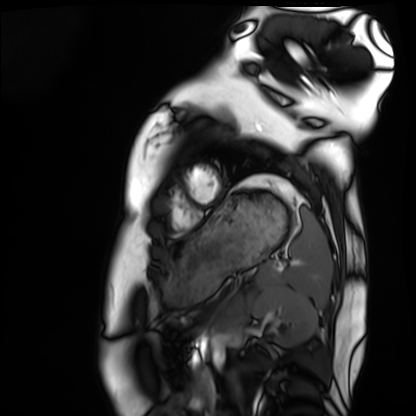
modality = cardiac MRI | subject group = healthy volunteer.